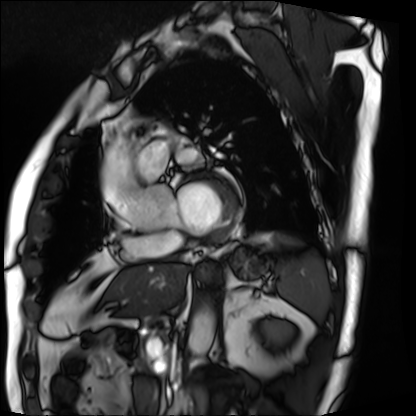
| field | value |
|---|---|
| modality | cardiac MRI |
| subject group | patient |